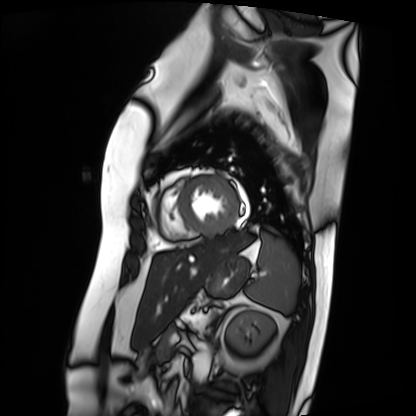
Cardiac MRI.
Subject group: patient.